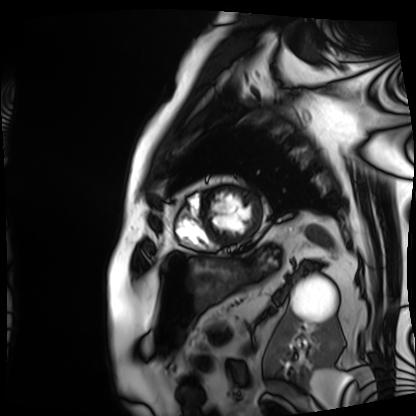
Q: What kind of scan is this?
A: Cardiac MRI.
Subject group: patient.